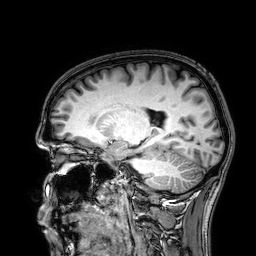
Q: What kind of scan is this?
A: 3 Tesla brain MRI.
Q: Series?
A: 3D T1-weighted.
Study: ring-enhancing brain masses.